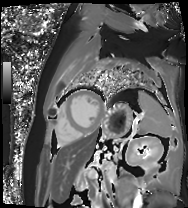
Q: What kind of scan is this?
A: Cardiac MR image of the myocardium.
Subject cohort: cardiac patient.